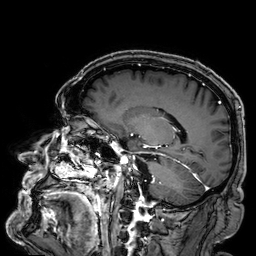
- modality: 3 Tesla brain MRI
- series: 3D T1-weighted
- study: ring-enhancing brain masses